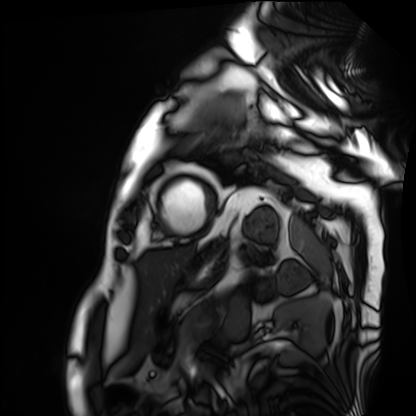
Cardiac MRI. Subject group: patient.